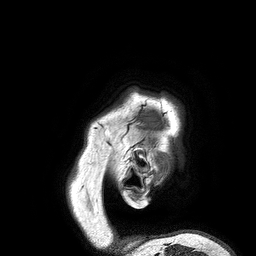
modality: 3 Tesla brain MRI
series: 3D T1-weighted turbo field echo
study: ring-enhancing brain masses